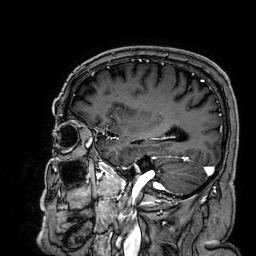
Summary:
3 Tesla brain MRI. Series: 3D T1-weighted. Study: ring-enhancing brain masses.